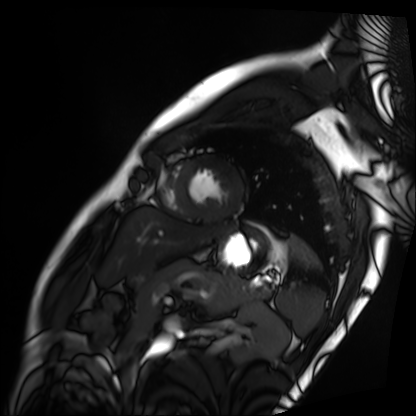
Summary: Cardiac MRI. Subject group: patient.